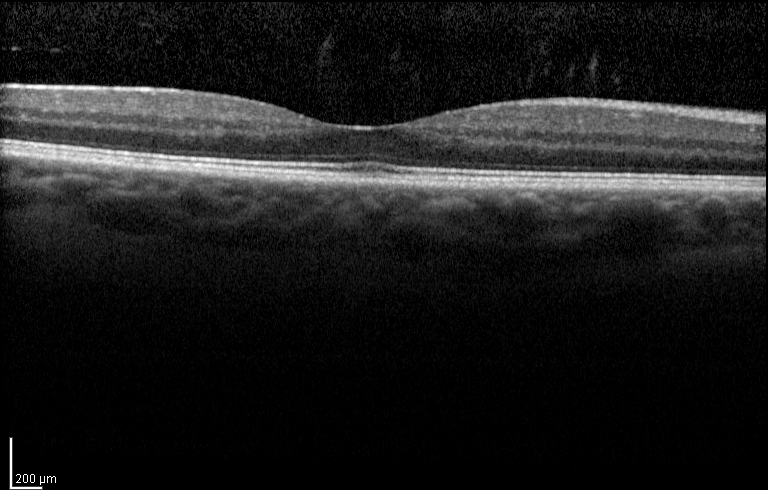
Infrared image and spectral-domain optical coherence tomography (SD-OCT) scan of the macula.
Cohort: diabetic subject.